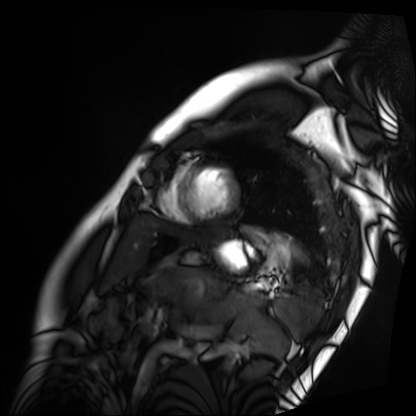
– modality: cardiac MRI
– subject group: patient